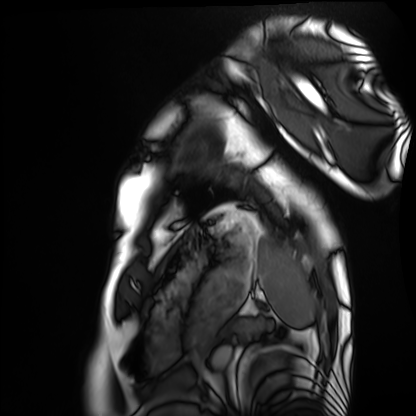
– modality: cardiac MRI
– subject group: healthy volunteer